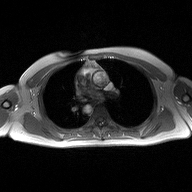
modality:
  type: 2D phase-contrast cine MRI
  region: ascending aorta
  reconstruction: high-resolution GRAPPA acquisition